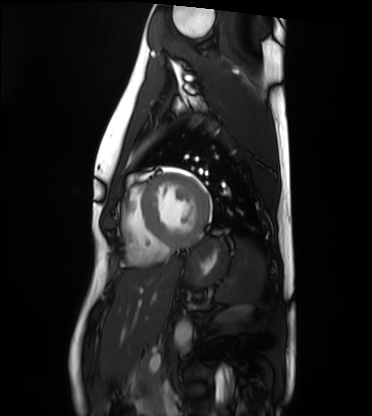
modality: cardiac MRI, subject group: healthy volunteer.